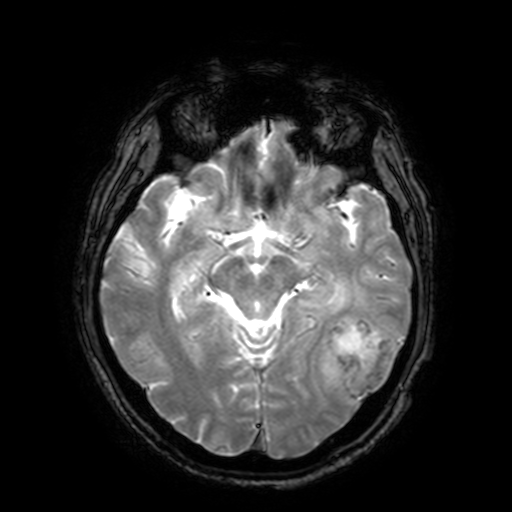
3 Tesla brain MRI.
Study: ring-enhancing brain masses.